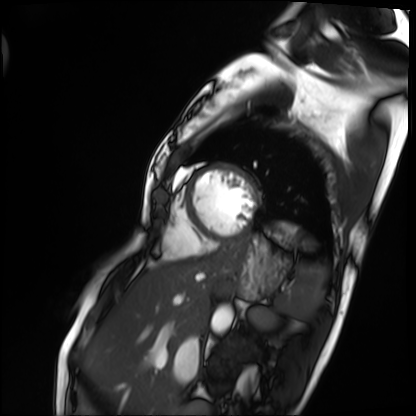
Cardiac MRI.
Subject group: patient.